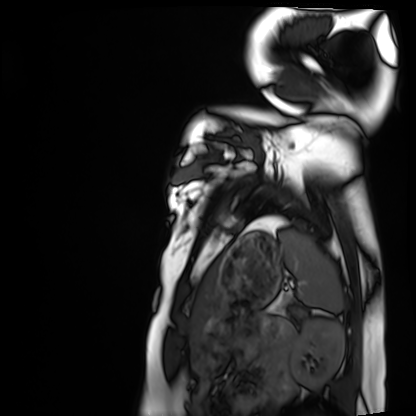
Cardiac MRI. Subject group: healthy volunteer.